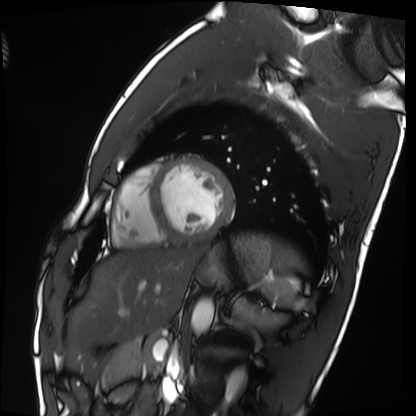
modality: cardiac MRI
subject group: healthy volunteer